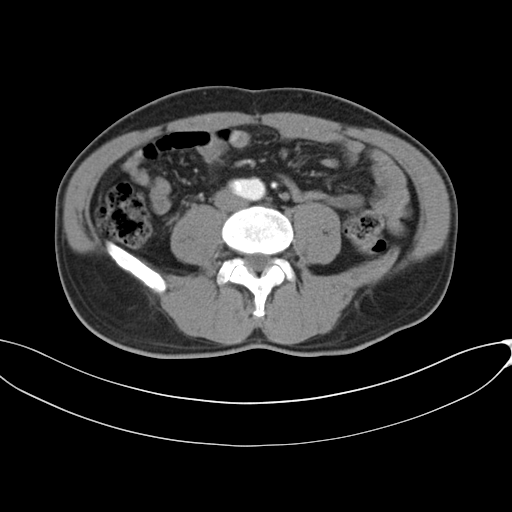
- modality · multiphase abdominal CT, liver, arterial phase
- patient · male, age 46